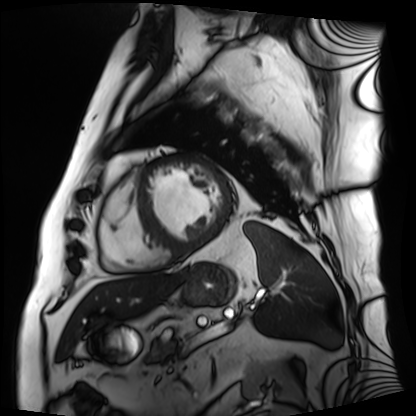
Cardiac MRI. Subject group: patient.